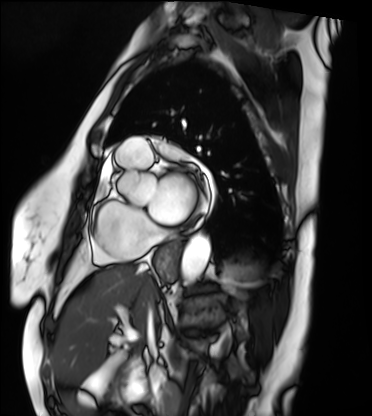
| field | value |
|---|---|
| modality | cardiac MRI |
| subject group | patient |